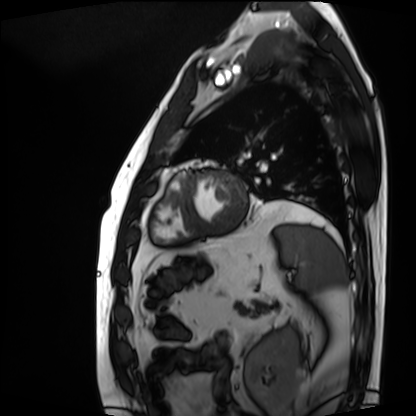
Cardiac MRI.
Subject group: patient.